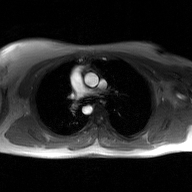
Summary:
2D phase-contrast cine MRI of the ascending aorta, GAN super-resolution reconstruction.